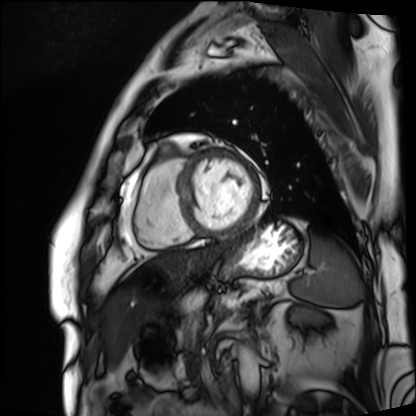
Cardiac MRI. Subject group: patient.